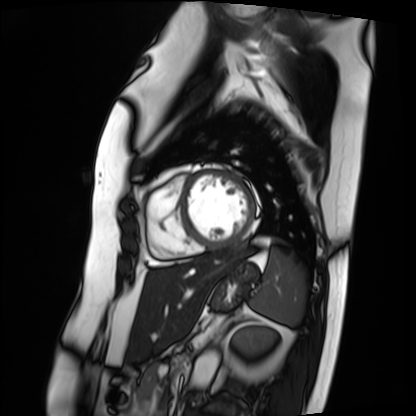
Q: What kind of scan is this?
A: Cardiac MRI.
Subject group: patient.